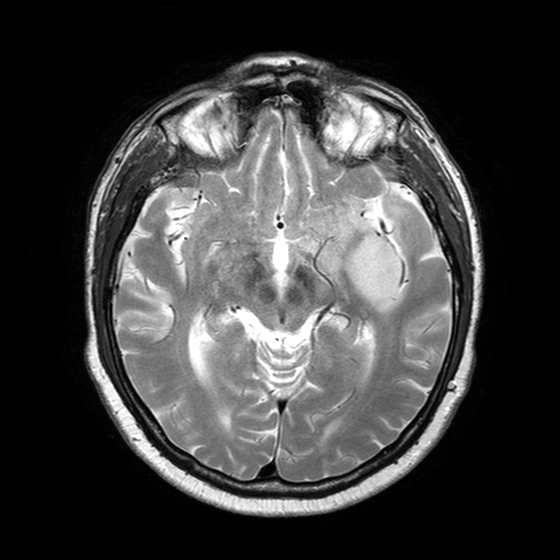
Case:
- modality — 3 Tesla brain MRI
- series — T2-weighted turbo spin echo with SENSE
- study — ring-enhancing brain masses